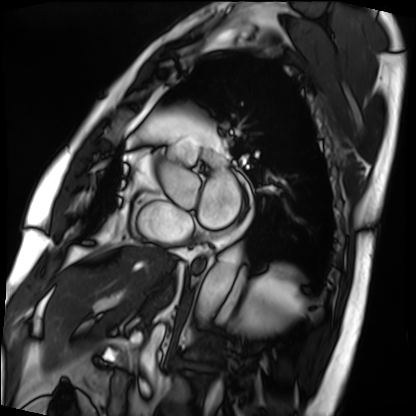
Q: What kind of scan is this?
A: Cardiac MRI.
Subject group: patient.